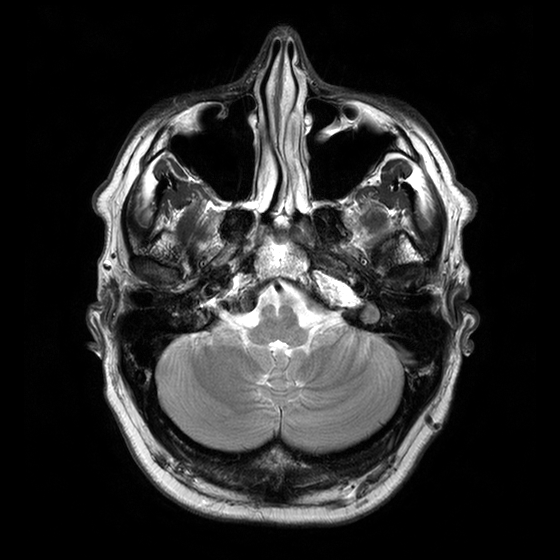
modality: 3 Tesla brain MRI
series: T2-weighted turbo spin echo with CLEAR
study: ring-enhancing brain masses